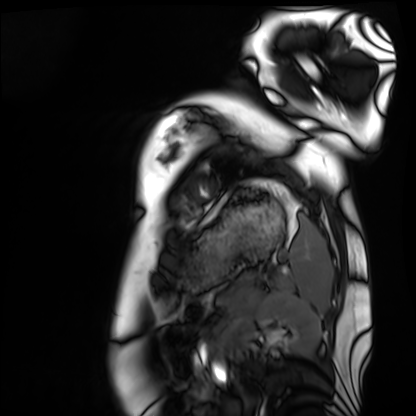
Cardiac MRI.
Subject group: healthy volunteer.